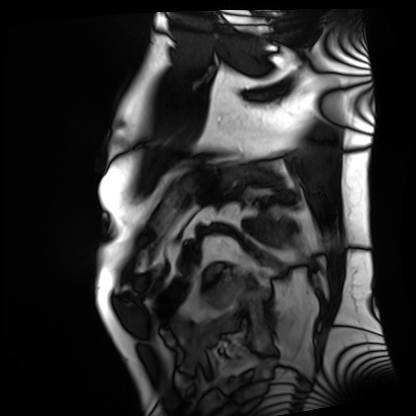
modality: cardiac MRI
cohort: patient